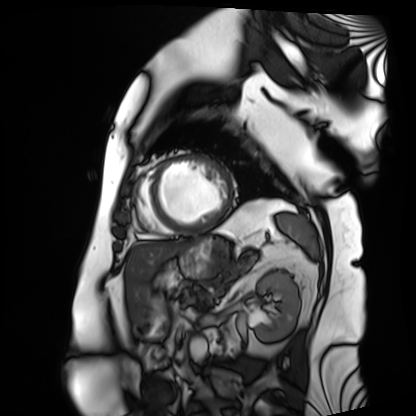
Q: What kind of scan is this?
A: Cardiac MRI.
Subject group: patient.